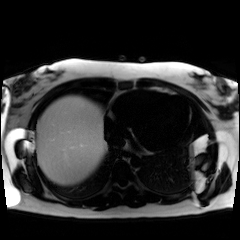
modality=chemical-shift-encoded cardiac MRI.